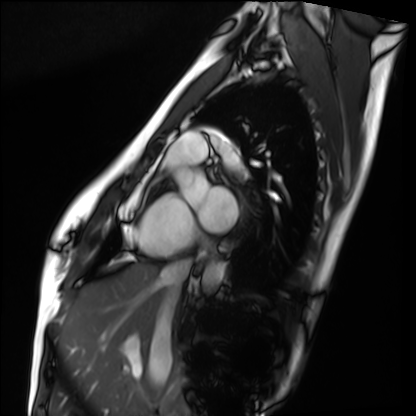
Case:
– modality: cardiac MRI
– subject group: healthy volunteer